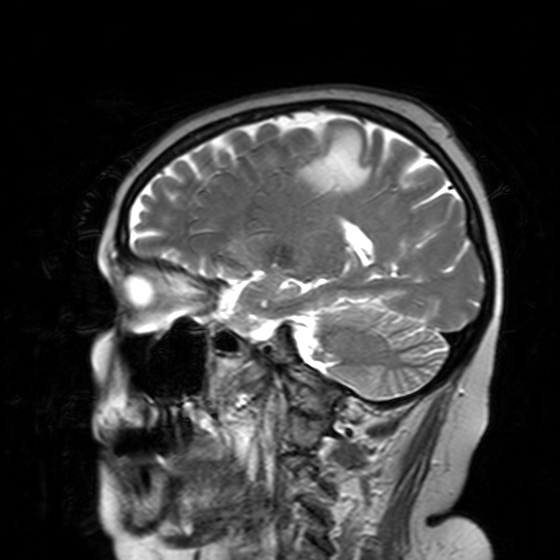
Case:
* modality · 3 Tesla brain MRI
* series · T2-weighted turbo spin echo with SENSE
* study · ring-enhancing brain masses